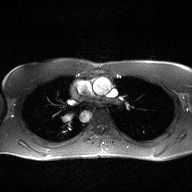
Summary: 2D phase-contrast cine MRI of the ascending aorta, high-resolution GRAPPA acquisition.